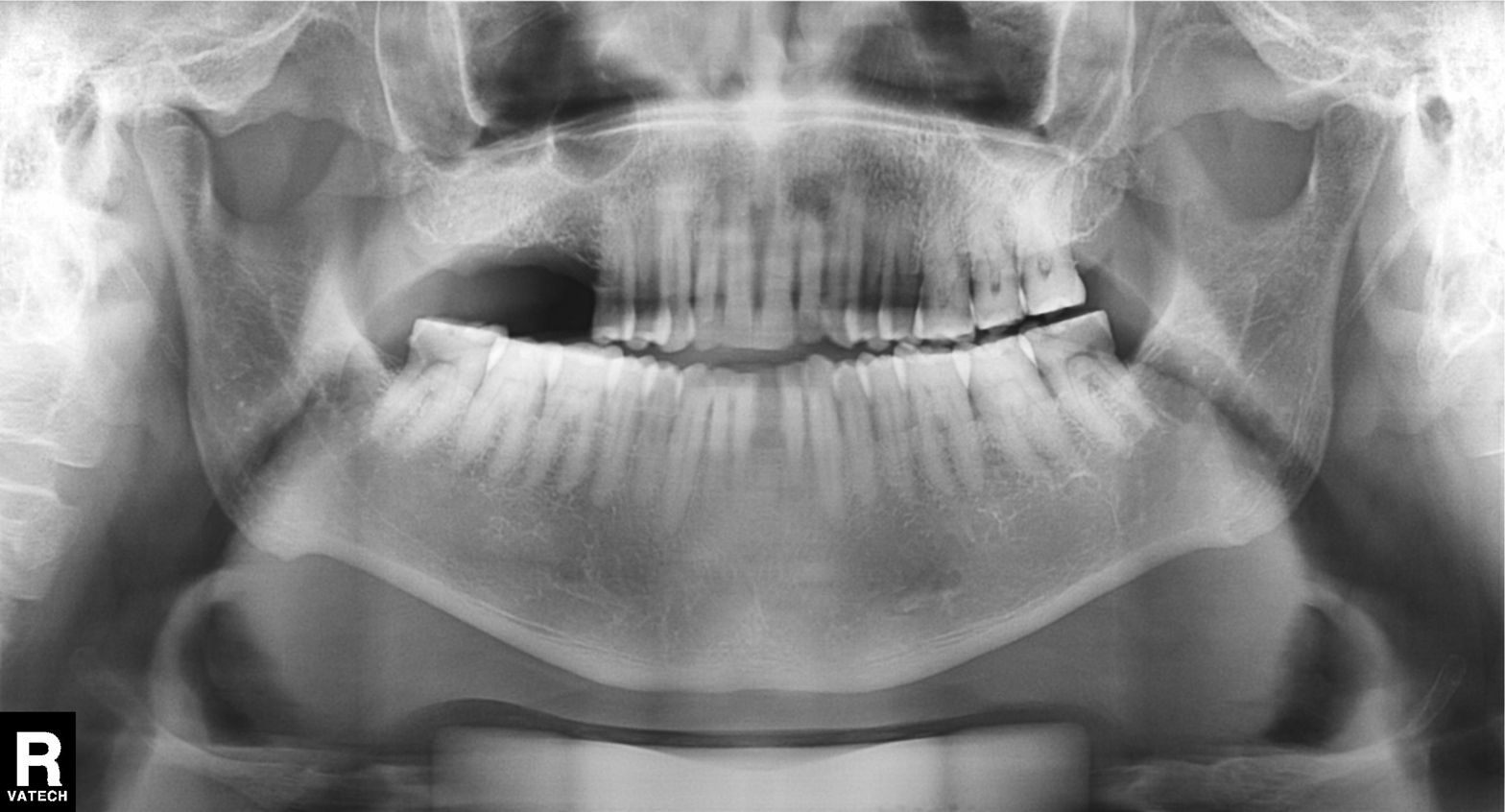
modality: panoramic dental radiograph (orthopantomogram), finding: alveolar bone loss.